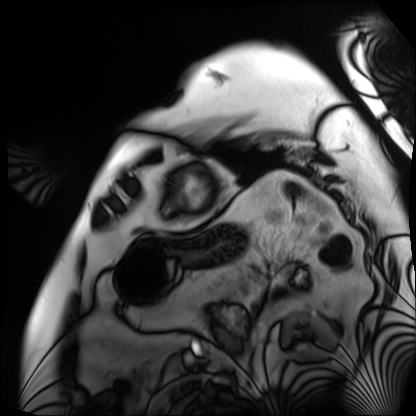
Q: What kind of scan is this?
A: Cardiac MRI.
Subject group: patient.